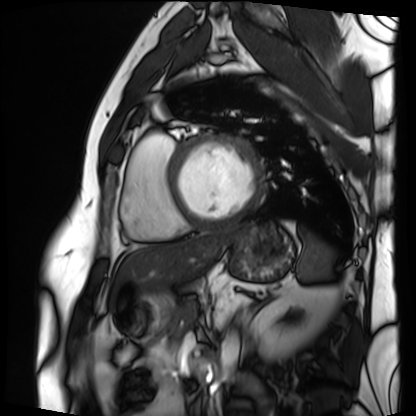
Cardiac MRI.
Subject group: patient.